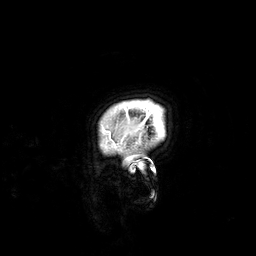
modality = 3 Tesla brain MRI
series = 3D T1-weighted
study = ring-enhancing brain masses